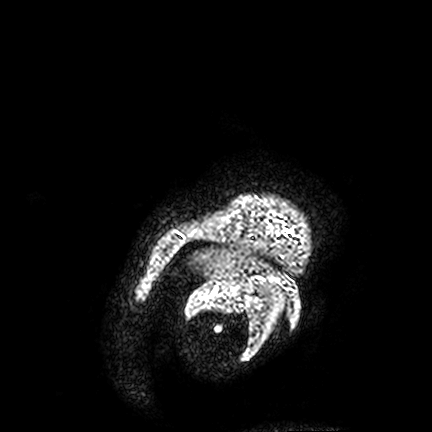
3 Tesla brain MRI.
Series: FLAIR VISTA.
Study: ring-enhancing brain masses.